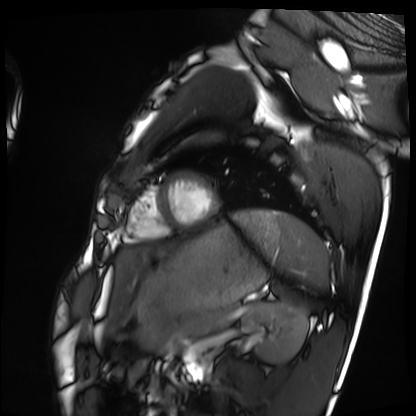
Cardiac MRI.
Subject group: healthy volunteer.